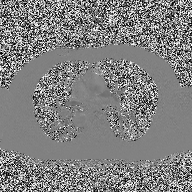
modality = 2D phase-contrast cine MRI of the ascending aorta.